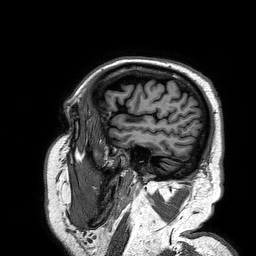
| field | value |
|---|---|
| modality | 3 Tesla brain MRI |
| series | 3D T1-weighted turbo field echo |
| study | ring-enhancing brain masses |